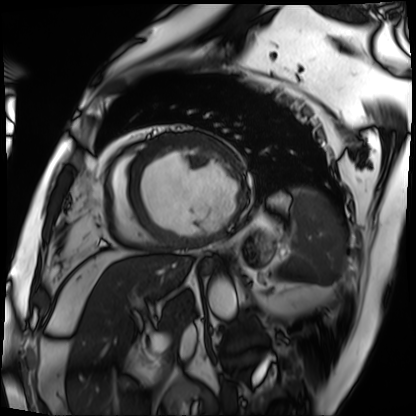
Summary:
Cardiac MRI. Subject group: patient.